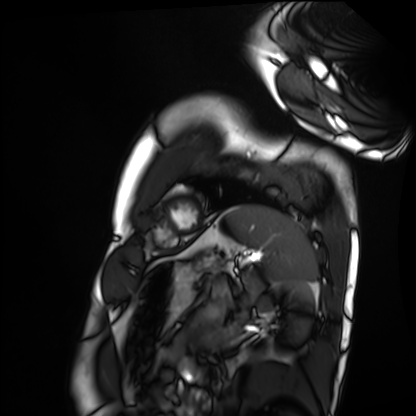
Case summary: Cardiac MRI. Subject group: healthy volunteer.